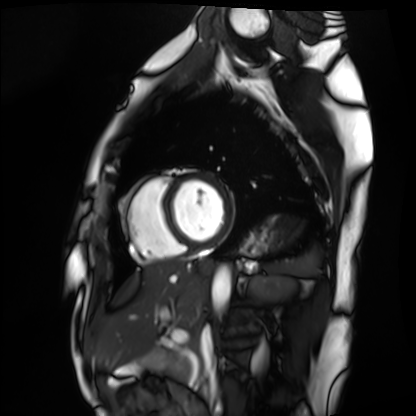
Cardiac MRI. Subject group: healthy volunteer.